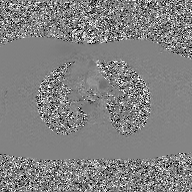
2D phase-contrast cine MRI of the ascending aorta, GAN super-resolution reconstruction.